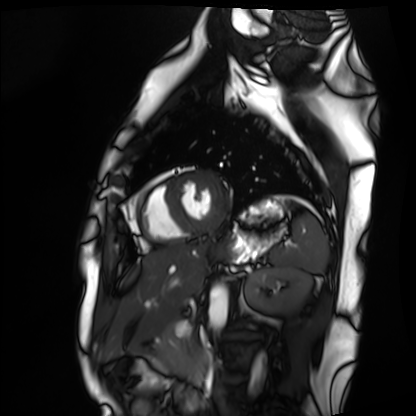
<scan>
  <modality>cardiac MRI</modality>
  <cohort>healthy volunteer</cohort>
</scan>